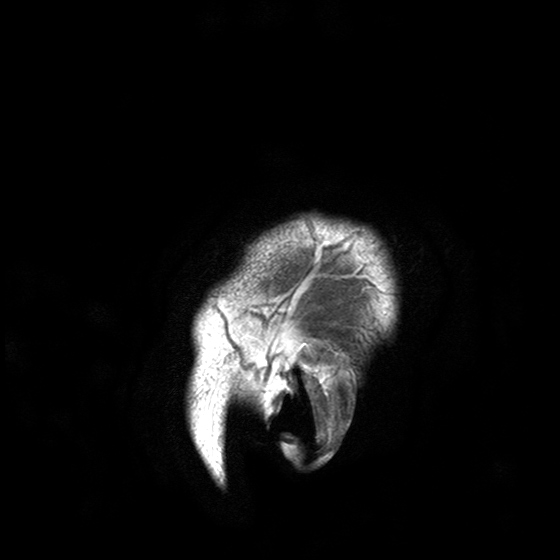
Case:
– modality · 3 Tesla brain MRI
– series · T2-weighted turbo spin echo with SENSE
– study · ring-enhancing brain masses